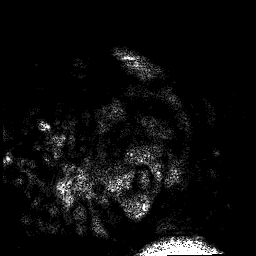
- modality · 3 Tesla brain MRI
- study · ring-enhancing brain masses